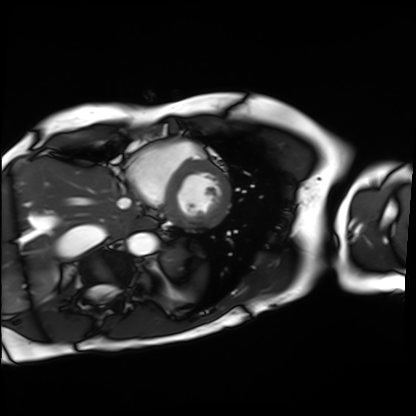
Cardiac MRI.
Subject group: patient.